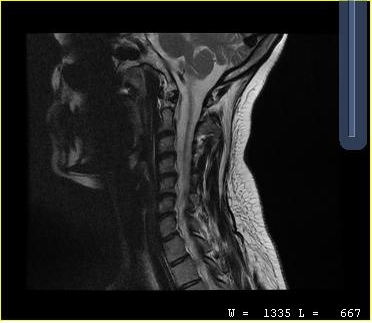
MRI of the cervical spine. Study: cervical spondylosis.